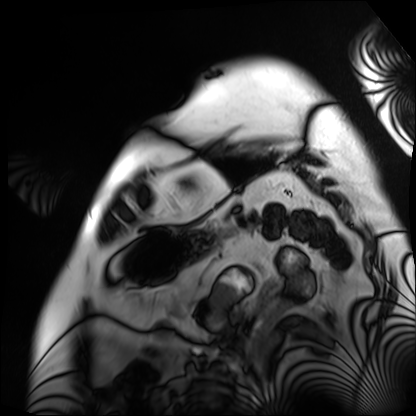
Case:
* modality: cardiac MRI
* subject group: patient